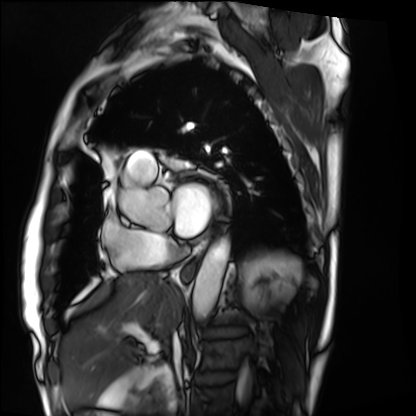
- modality — cardiac MRI
- subject group — patient